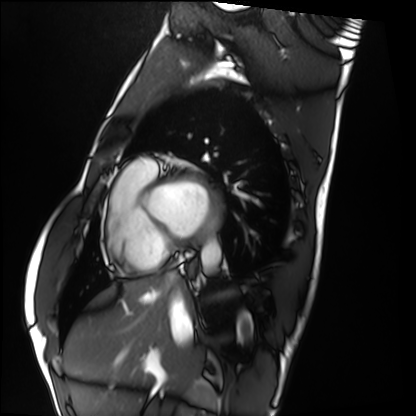
Summary: Cardiac MRI. Subject group: healthy volunteer.